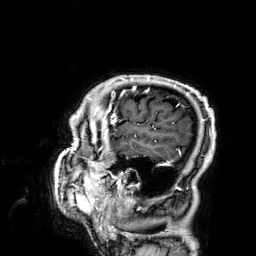
modality: 3 Tesla brain MRI
series: 3D T1-weighted
study: ring-enhancing brain masses